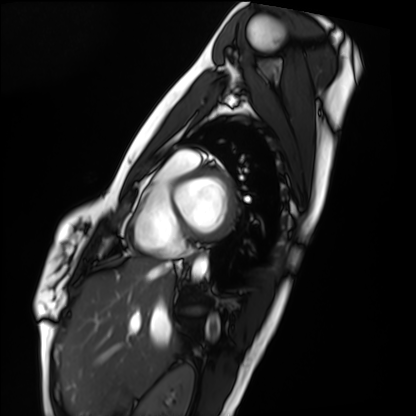
* modality · cardiac MRI
* subject group · healthy volunteer